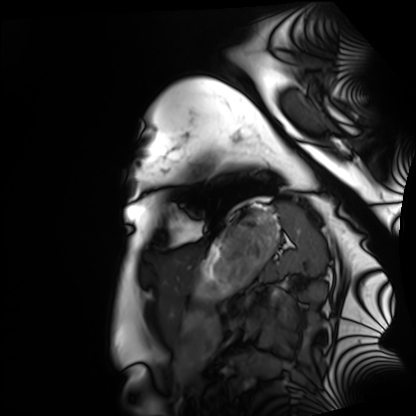
<study>
  <modality>cardiac MRI</modality>
  <cohort>healthy volunteer</cohort>
</study>